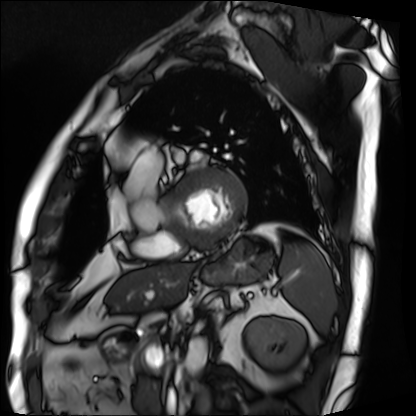
modality = cardiac MRI, subject group = patient.